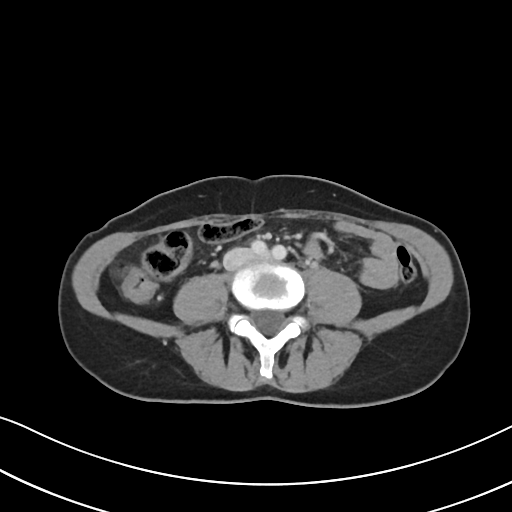
Multiphase abdominal CT, liver, portal venous phase. Patient: female, age 48. History: prior chemotherapy.